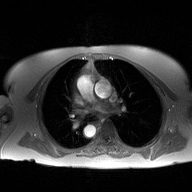
Q: What kind of scan is this?
A: 2D phase-contrast cine MRI of the ascending aorta.